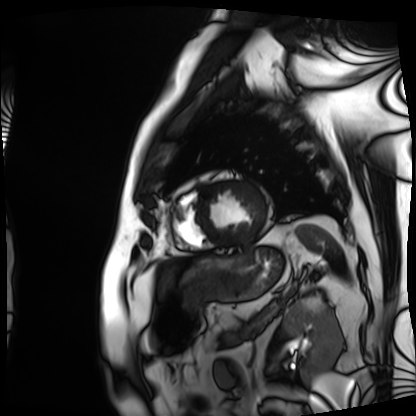
Summary: Cardiac MRI. Subject group: patient.